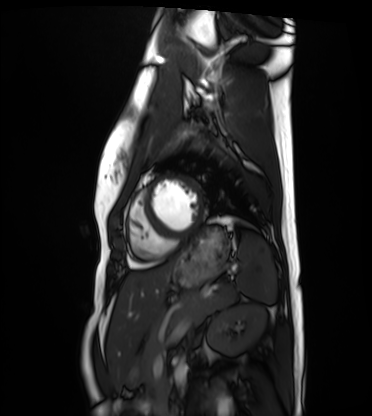
Cardiac MRI. Subject group: healthy volunteer.